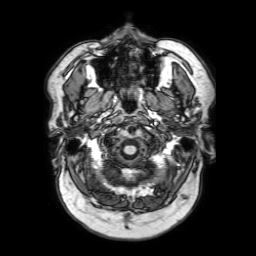
3 Tesla brain MRI.
Series: 3D T1-weighted with SENSE.
Study: ring-enhancing brain masses.